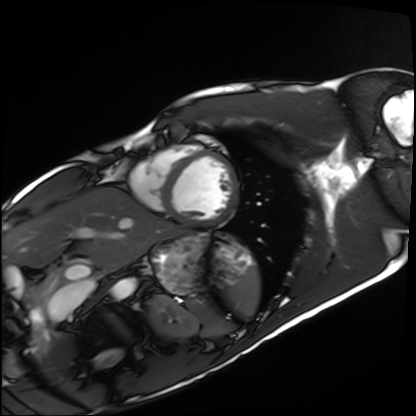
modality — cardiac MRI | subject group — healthy volunteer.